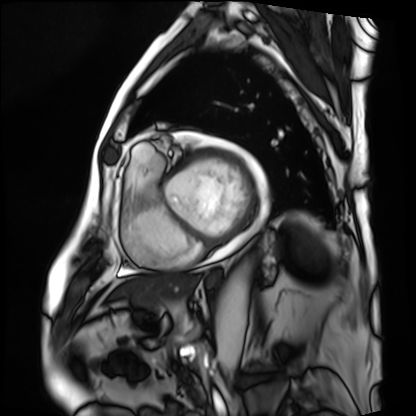
Cardiac MRI.
Subject group: patient.